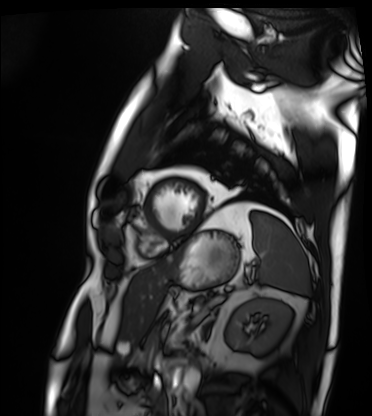
Case summary: Cardiac MRI. Subject group: patient.